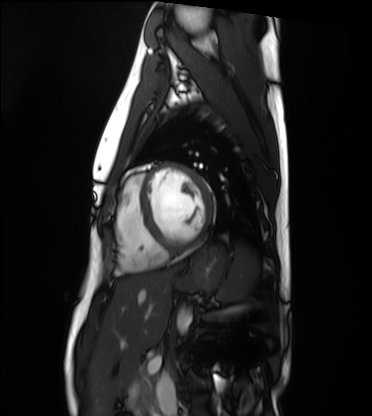
modality: cardiac MRI, subject group: healthy volunteer.